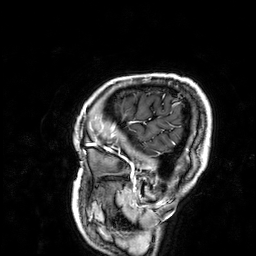
Clinical context:
3 Tesla brain MRI. Series: 3D T1-weighted. Study: ring-enhancing brain masses.